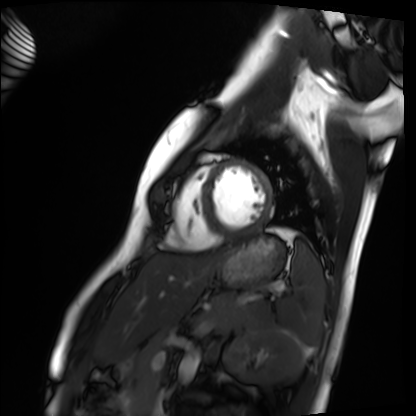
Cardiac MRI. Subject group: healthy volunteer.